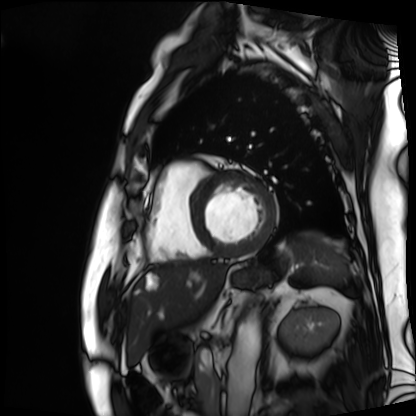
Cardiac MRI. Subject group: patient.